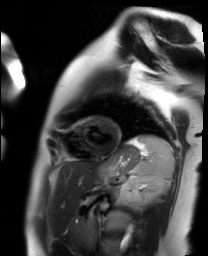
• modality — cardiac MR image of the myocardium
• subject cohort — healthy volunteer